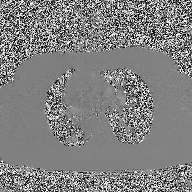
Q: What kind of scan is this?
A: 2D phase-contrast cine MRI of the ascending aorta.